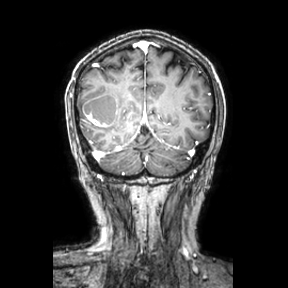
modality=3 Tesla brain MRI
series=coronal
study=ring-enhancing brain masses